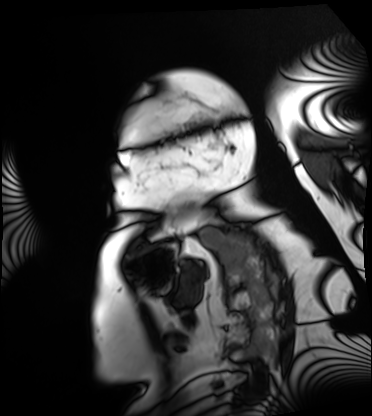
Summary:
Cardiac MRI. Subject group: patient.